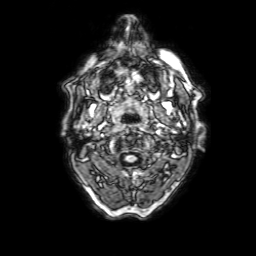
Case:
* modality: 3 Tesla brain MRI
* series: 3D T1-weighted with SENSE
* study: ring-enhancing brain masses